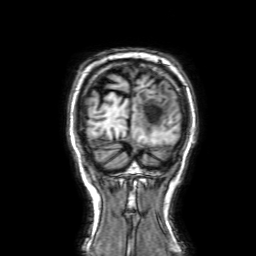
Q: What kind of scan is this?
A: 3 Tesla brain MRI.
Study: ring-enhancing brain masses.